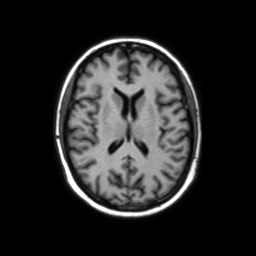
3 Tesla brain MRI. Series: axial without contrast. Study: ring-enhancing brain masses.